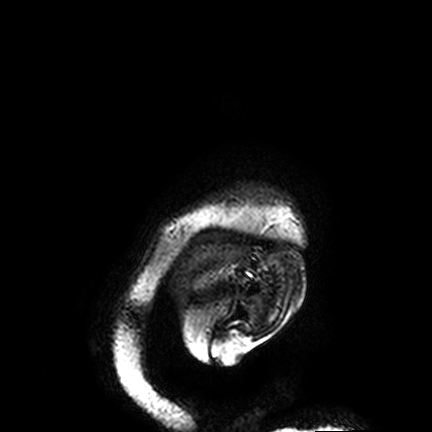
  modality:
    type: brain MRI
    field_strength: 3T
  study_topic: ring-enhancing brain masses